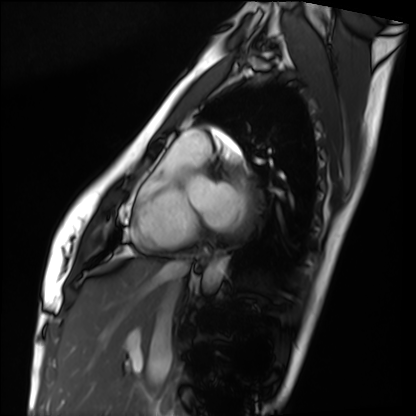
modality: cardiac MRI
cohort: healthy volunteer